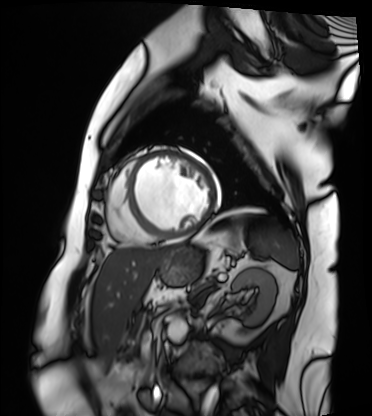
Cardiac MRI. Subject group: patient.